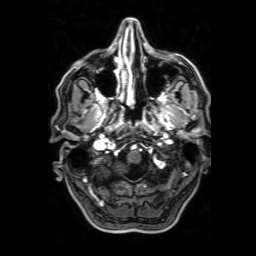
Summary:
3 Tesla brain MRI. Series: 3D T1-weighted with SENSE. Study: ring-enhancing brain masses.